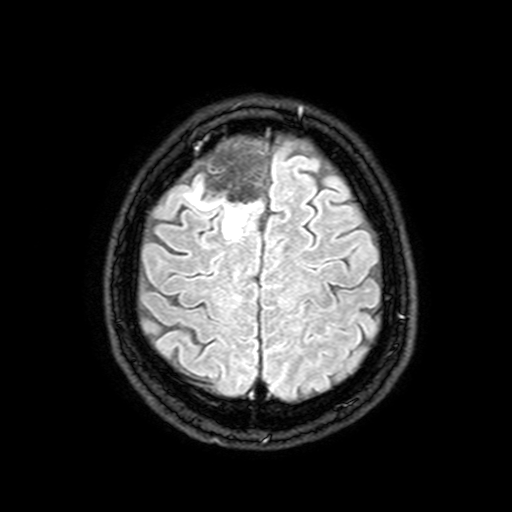
Clinical context:
3 Tesla brain MRI. Series: FLAIR with SPAIR, 3 mm. Study: ring-enhancing brain masses.